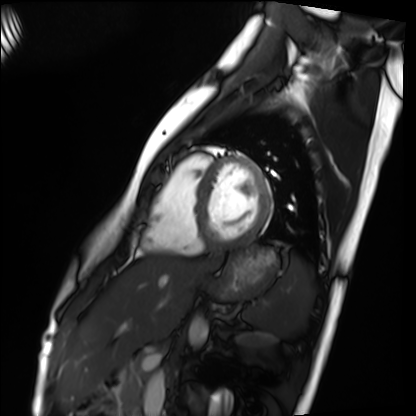
Clinical context:
Cardiac MRI. Subject group: healthy volunteer.